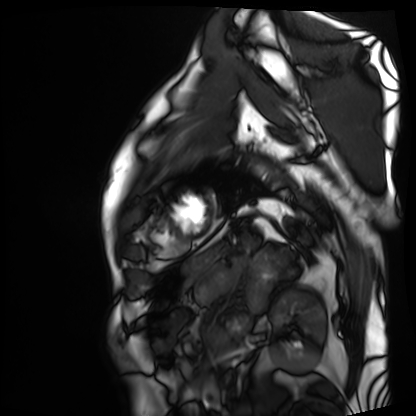
Cardiac MRI. Subject group: patient.